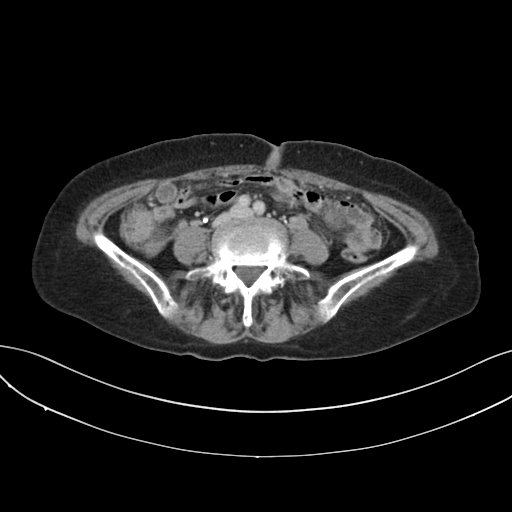
| field | value |
|---|---|
| modality | multiphase abdominal CT, liver, delayed phase |
| patient | female, age 74 |